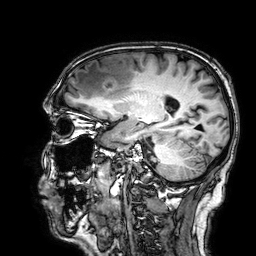
3 Tesla brain MRI. Series: 3D T1-weighted. Study: ring-enhancing brain masses.